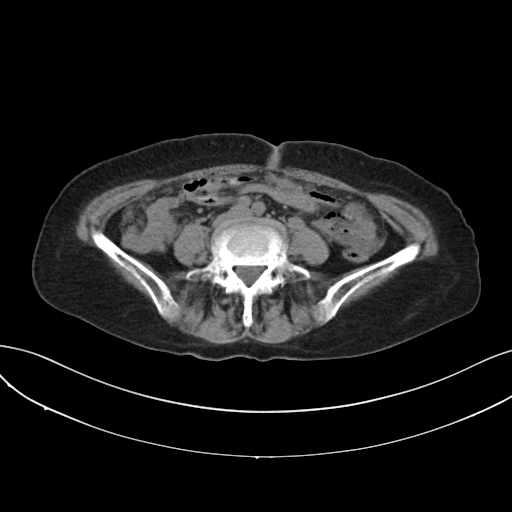
Multiphase abdominal CT, liver, non-contrast phase. Patient: female, age 74.